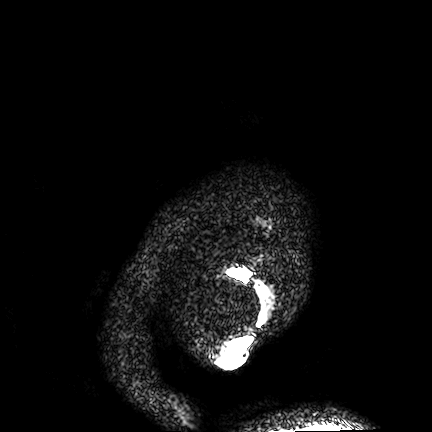
{"modality": {"type": "brain MRI", "field_strength": "3T"}, "series": "FLAIR VISTA", "study_topic": "ring-enhancing brain masses"}